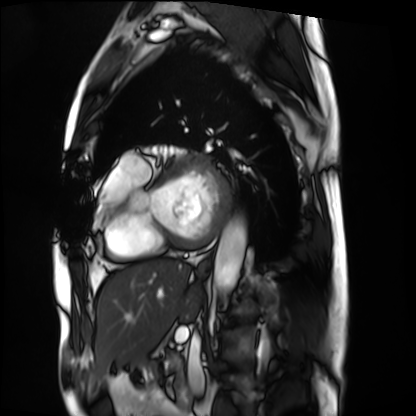
Cardiac MRI.
Subject group: patient.